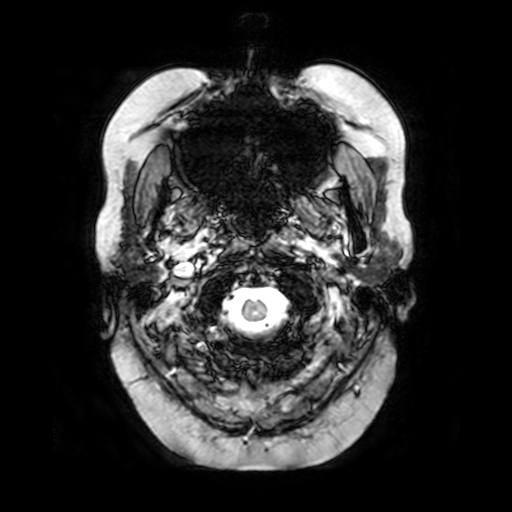
3 Tesla brain MRI.
Series: T2-weighted fast field echo.
Study: ring-enhancing brain masses.